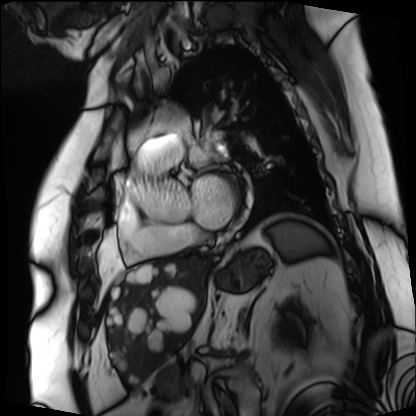
modality: cardiac MRI, subject group: patient.